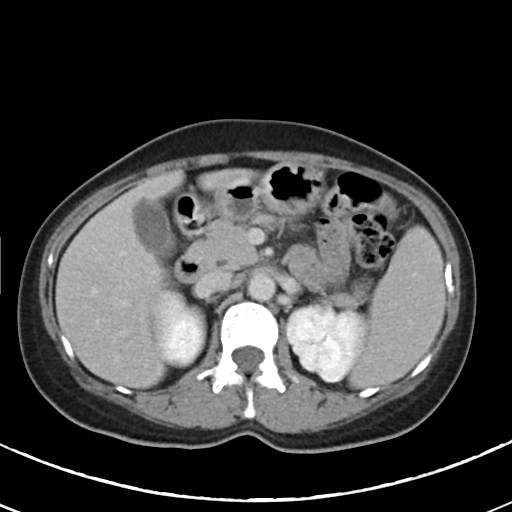
{"modality": {"type": "multiphase abdominal CT", "region": "liver", "phase": "delayed"}, "patient": {"sex": "female", "age": 46}}